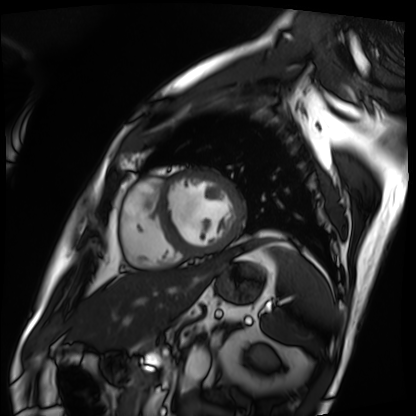
* modality: cardiac MRI
* subject group: patient